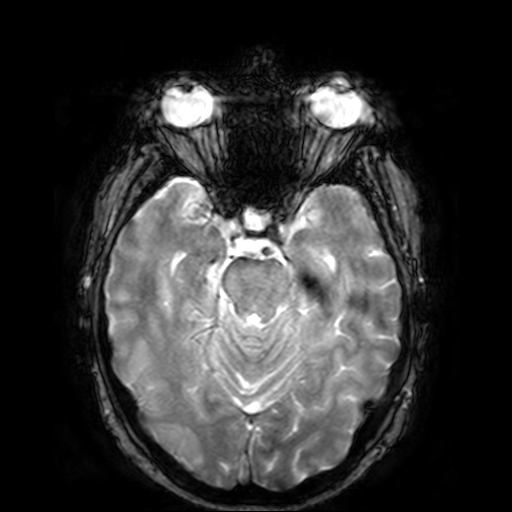
Q: What kind of scan is this?
A: 3 Tesla brain MRI.
Q: Series?
A: T2-weighted fast field echo.
Study: ring-enhancing brain masses.